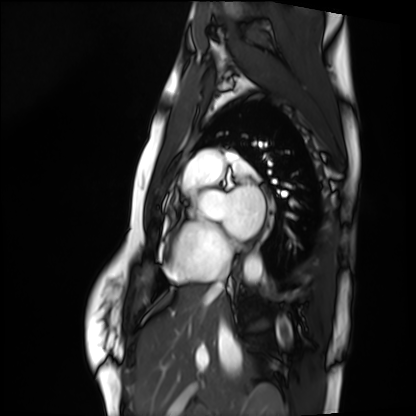
modality = cardiac MRI, subject group = healthy volunteer.